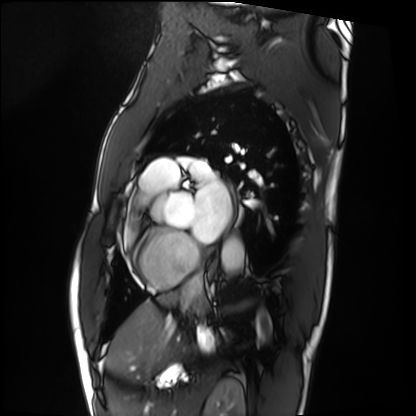
Cardiac MRI. Subject group: patient.